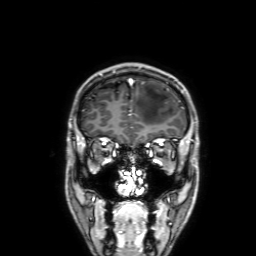
Summary: 3 Tesla brain MRI. Series: 3D T1-weighted with SENSE. Study: ring-enhancing brain masses.